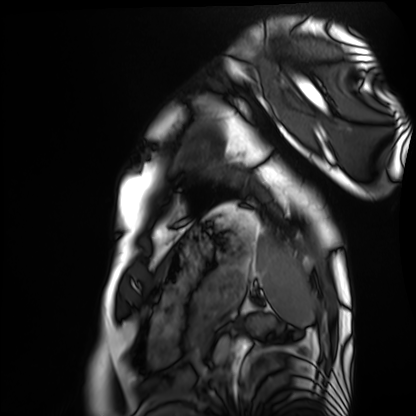
| field | value |
|---|---|
| modality | cardiac MRI |
| subject group | healthy volunteer |